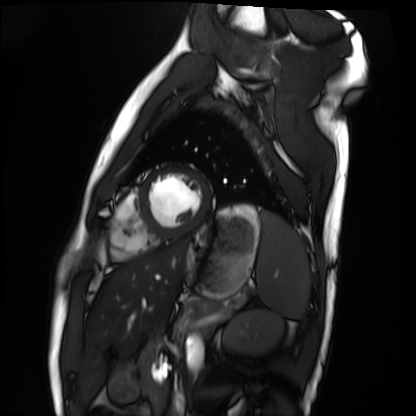
Clinical context:
Cardiac MRI. Subject group: healthy volunteer.